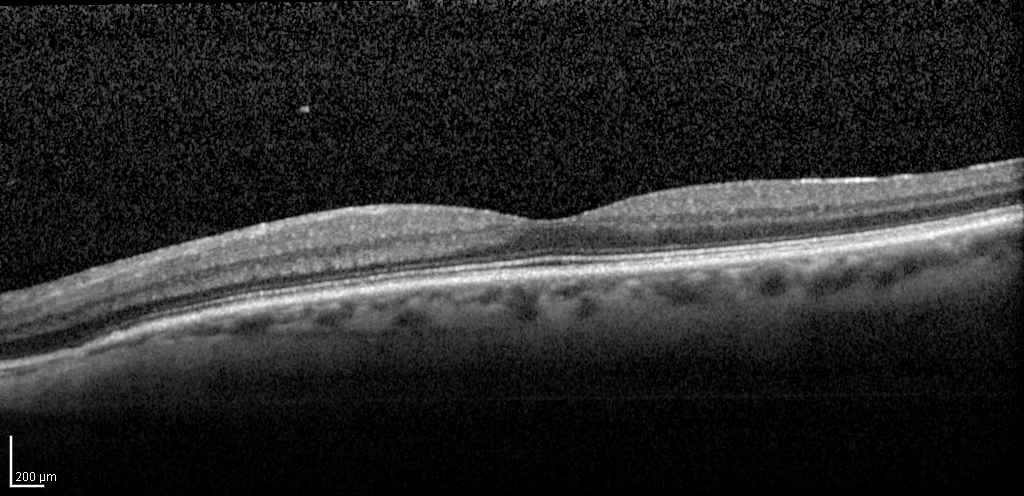
Spectral-domain optical coherence tomography (SD-OCT) of the macula.
Subject: male, age 72, left eye.
Cohort: diabetic subject.
ETDRS-grid retinal thickness (μm): central 266, inner temporal 311, inner nasal 328, inner superior 327, inner inferior 326, outer temporal 258, outer nasal 304, outer superior 295, outer inferior 282.